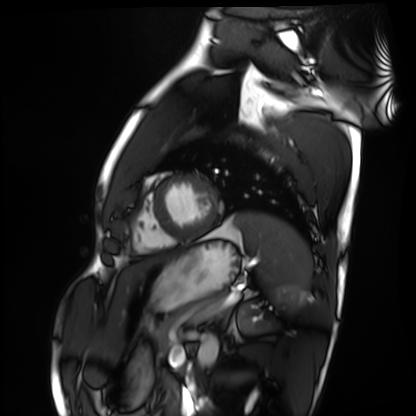
| field | value |
|---|---|
| modality | cardiac MRI |
| subject group | healthy volunteer |